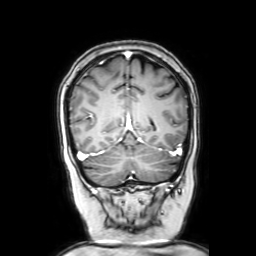
3 Tesla brain MRI.
Series: coronal with contrast.
Study: ring-enhancing brain masses.